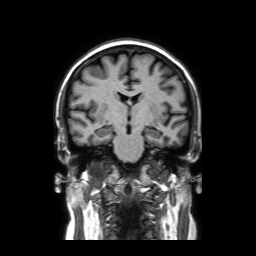
modality=3 Tesla brain MRI | study=ring-enhancing brain masses.